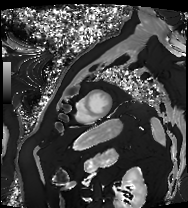
Summary:
Cardiac MRI. Subject group: patient.